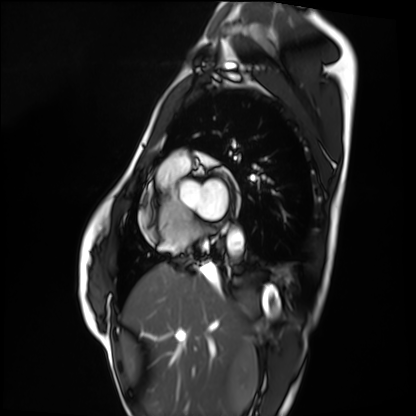
modality = cardiac MRI, subject group = healthy volunteer.